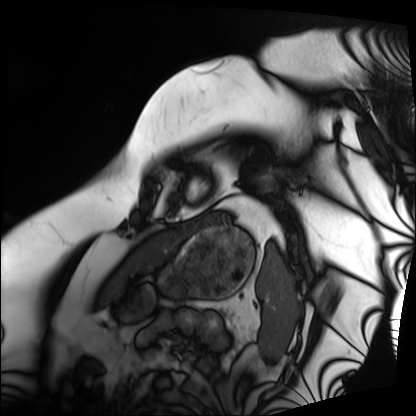
• modality: cardiac MRI
• subject group: patient